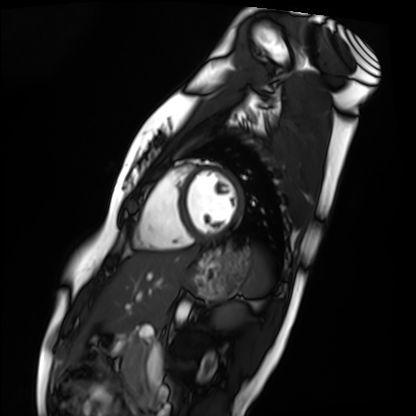
Q: What kind of scan is this?
A: Cardiac MRI.
Subject group: healthy volunteer.